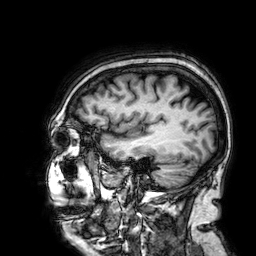
Case summary: 3 Tesla brain MRI. Series: 3D T1-weighted. Study: ring-enhancing brain masses.